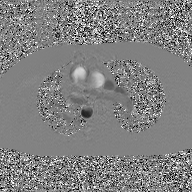
{"modality": {"type": "2D phase-contrast cine MRI", "region": "ascending aorta", "reconstruction": "GAN super-resolution reconstruction"}}